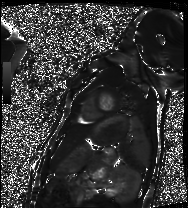
modality: cardiac MRI
subject group: healthy volunteer